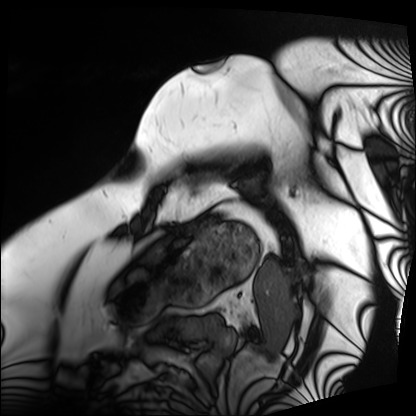
modality=cardiac MRI | subject group=patient.